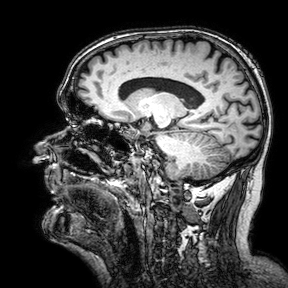
3 Tesla brain MRI. Series: 3D T1-weighted turbo field echo with SENSE. Study: ring-enhancing brain masses.